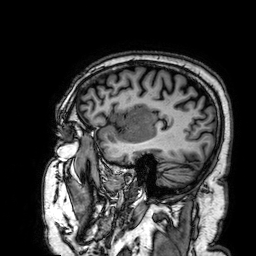
modality: 3 Tesla brain MRI; series: 3D T1-weighted; study: ring-enhancing brain masses.